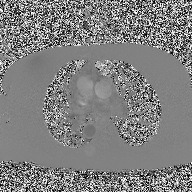
2D phase-contrast cine MRI of the ascending aorta, high-resolution GRAPPA acquisition.